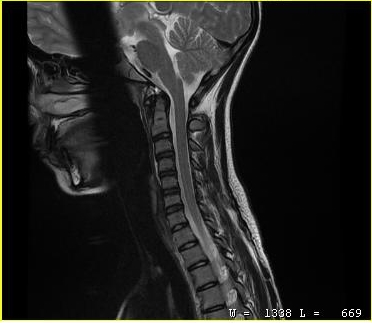
MRI of the cervical spine.
Study: cervical spondylosis.